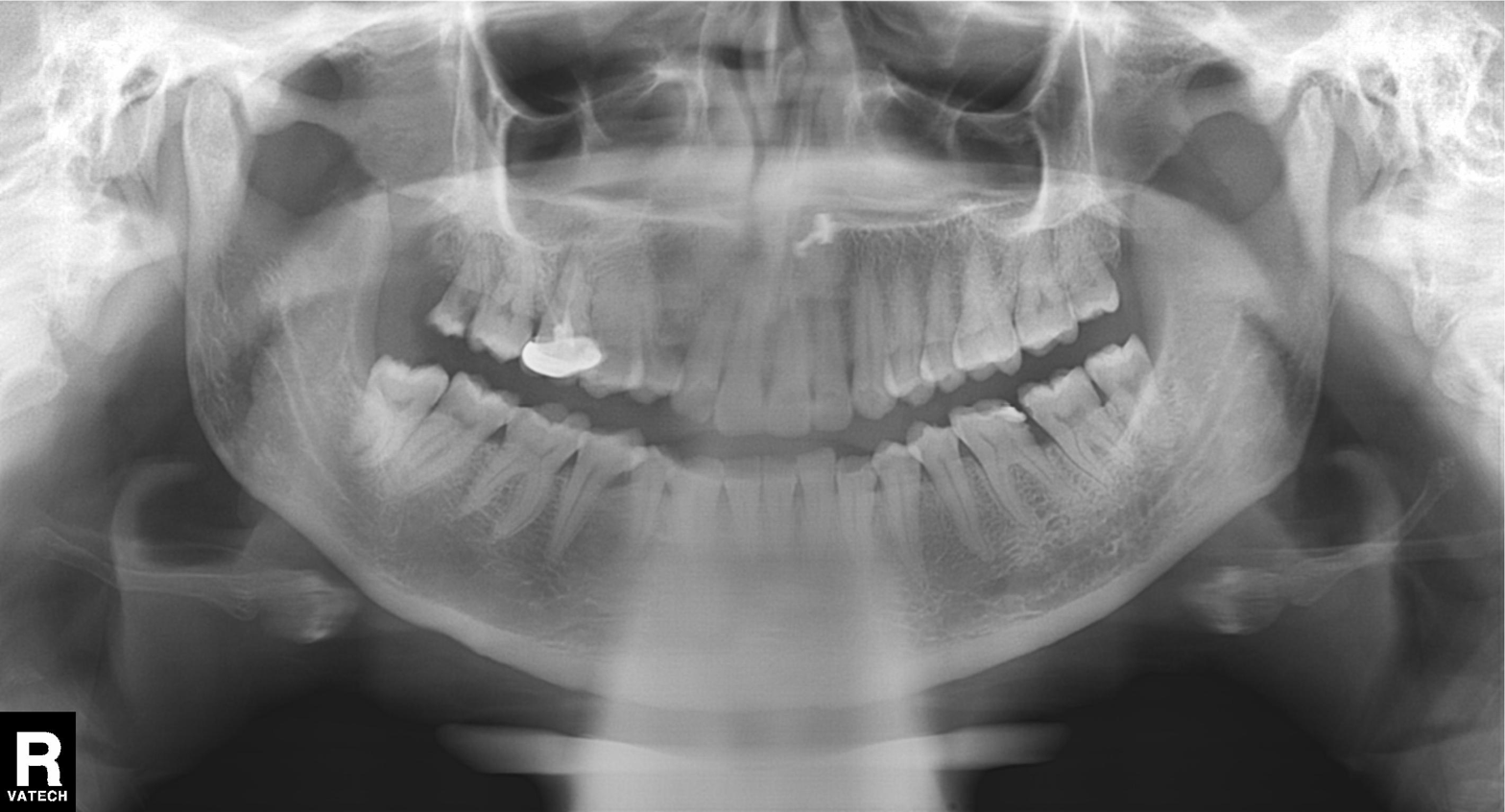
{
  "modality": "panoramic dental radiograph (orthopantomogram)",
  "finding": "dental caries (cavities)"
}